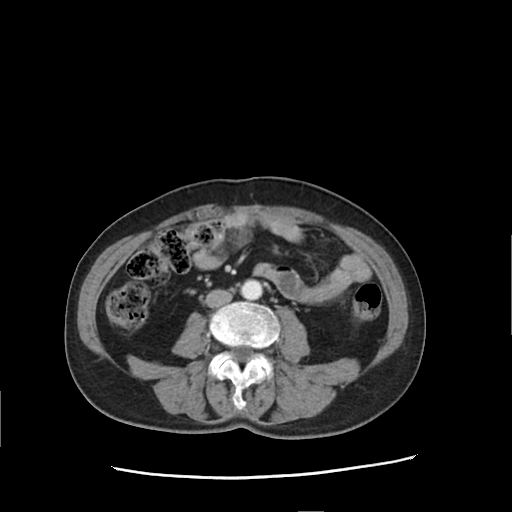
Multiphase abdominal CT, liver, arterial phase. Patient: female, age 71.